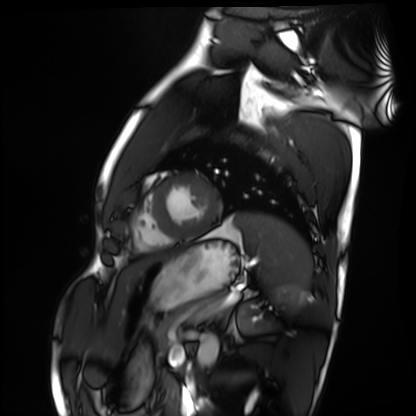
Case:
– modality — cardiac MRI
– subject group — healthy volunteer